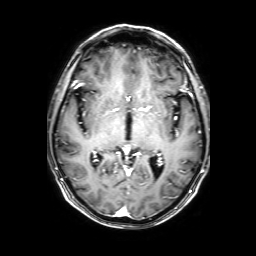
Summary: 3 Tesla brain MRI. Series: 3D T1-weighted with SENSE. Study: ring-enhancing brain masses.